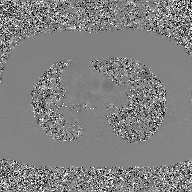
2D phase-contrast cine MRI of the ascending aorta, GAN super-resolution reconstruction.